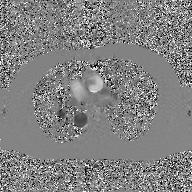
Summary: 2D phase-contrast cine MRI of the ascending aorta, GAN super-resolution reconstruction.